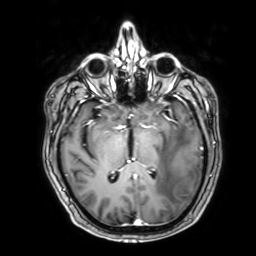
Q: What kind of scan is this?
A: 3 Tesla brain MRI.
Q: Series?
A: 3D T1-weighted with SENSE.
Study: ring-enhancing brain masses.